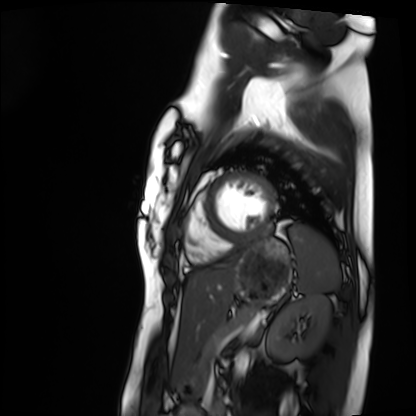
modality: cardiac MRI | subject group: healthy volunteer.